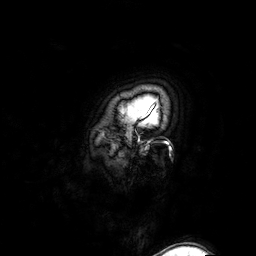
3 Tesla brain MRI. Series: 3D T1-weighted turbo field echo with SENSE. Study: ring-enhancing brain masses.